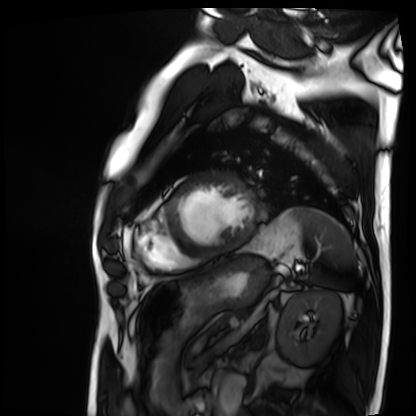
modality: cardiac MRI; subject group: patient.